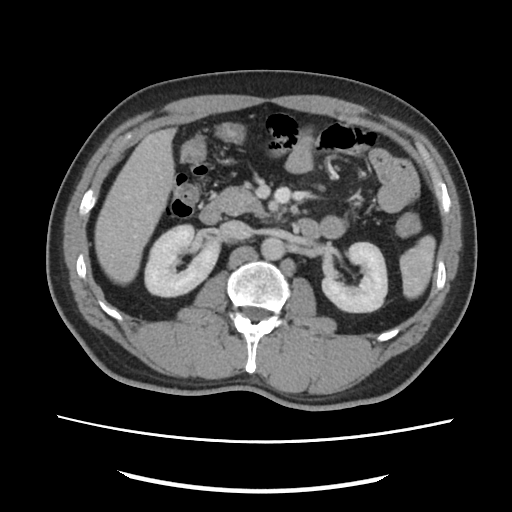
– modality — multiphase abdominal CT, liver, portal venous phase